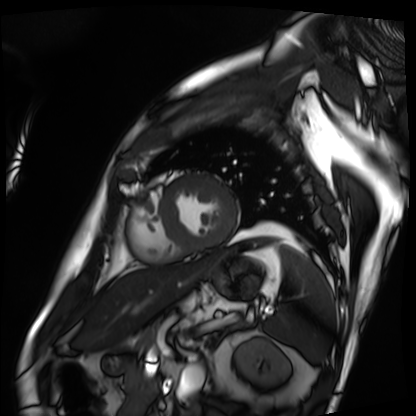
Case:
- modality: cardiac MRI
- subject group: patient